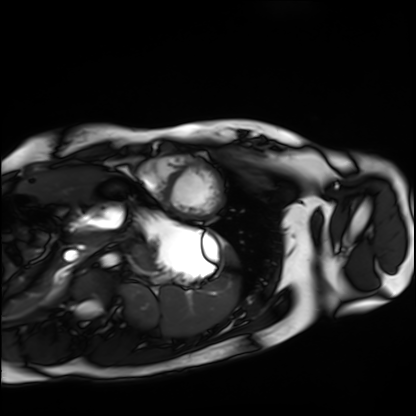
modality = cardiac MRI | subject group = healthy volunteer.